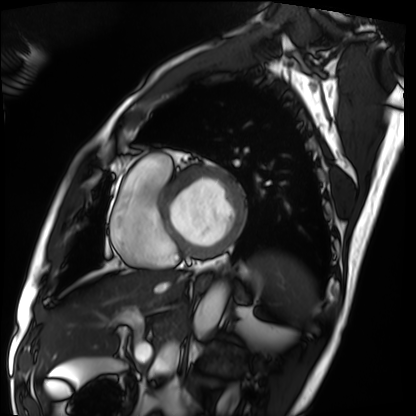
Cardiac MRI. Subject group: patient.